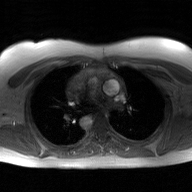
modality: 2D phase-contrast cine MRI of the ascending aorta, GAN super-resolution reconstruction.